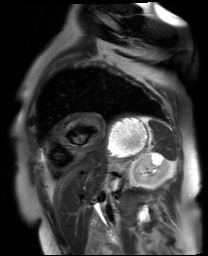
Q: What kind of scan is this?
A: Cardiac MR image of the myocardium.
Subject cohort: cardiac patient.